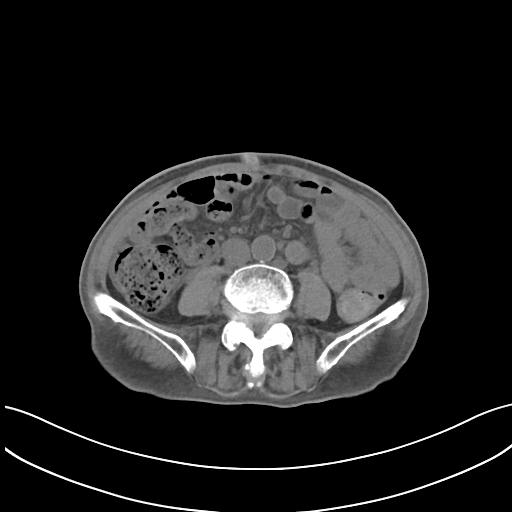
Summary:
Multiphase abdominal CT, liver, non-contrast phase. Patient: male, age 75. History: prior chemotherapy.